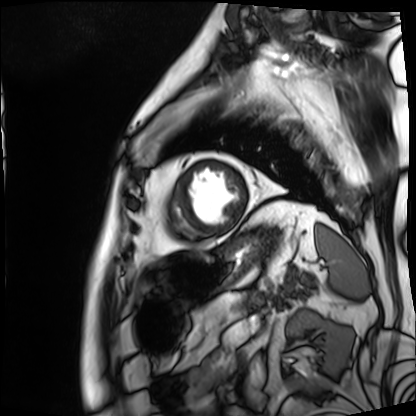
{
  "modality": "cardiac MRI",
  "cohort": "patient"
}